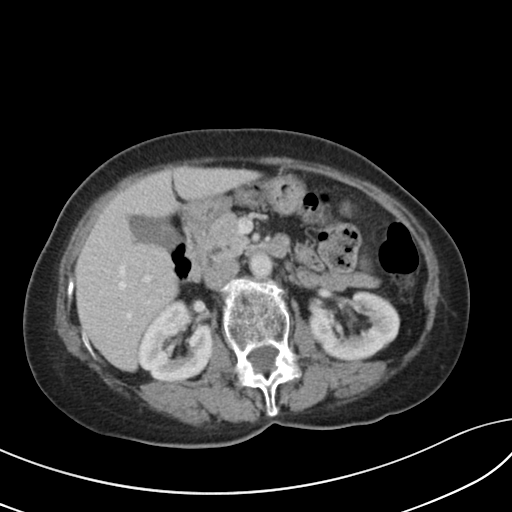
modality — multiphase abdominal CT, liver, portal venous phase | patient — female, age 67 | history — viral hepatitis.